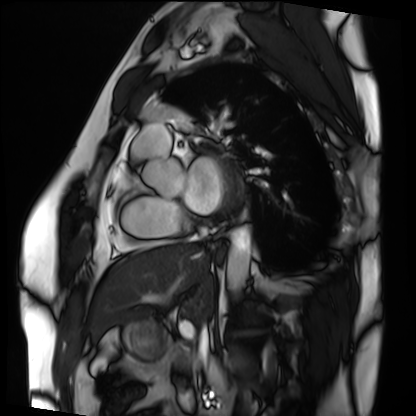
Cardiac MRI. Subject group: patient.